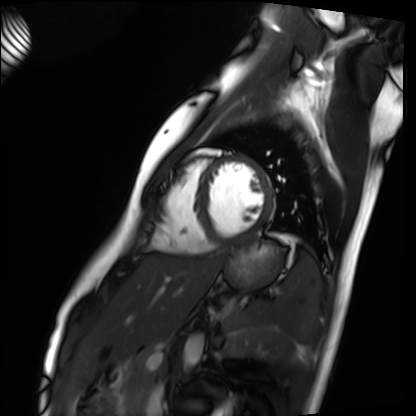
modality = cardiac MRI, subject group = healthy volunteer.